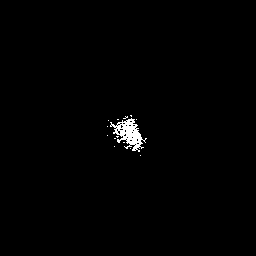
- modality — 3 Tesla brain MRI
- series — 3D T1-weighted with SENSE
- study — ring-enhancing brain masses